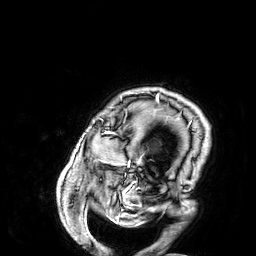
{"modality": {"type": "brain MRI", "field_strength": "3T"}, "series": "3D T1-weighted", "study_topic": "ring-enhancing brain masses"}